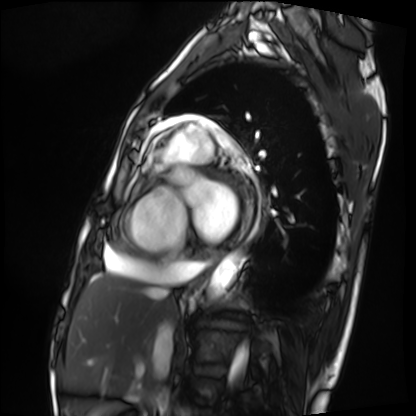
Cardiac MRI.
Subject group: patient.